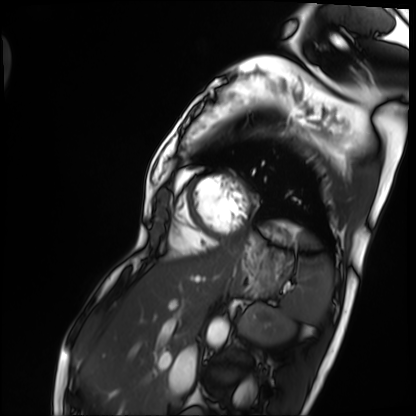
Cardiac MRI.
Subject group: patient.